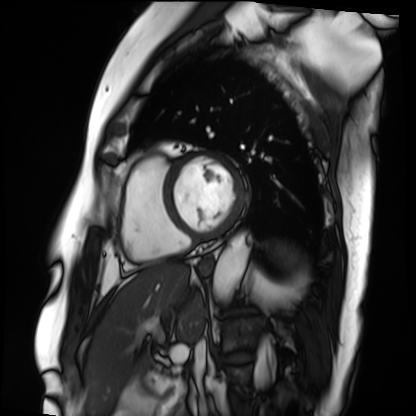
Cardiac MRI.
Subject group: patient.